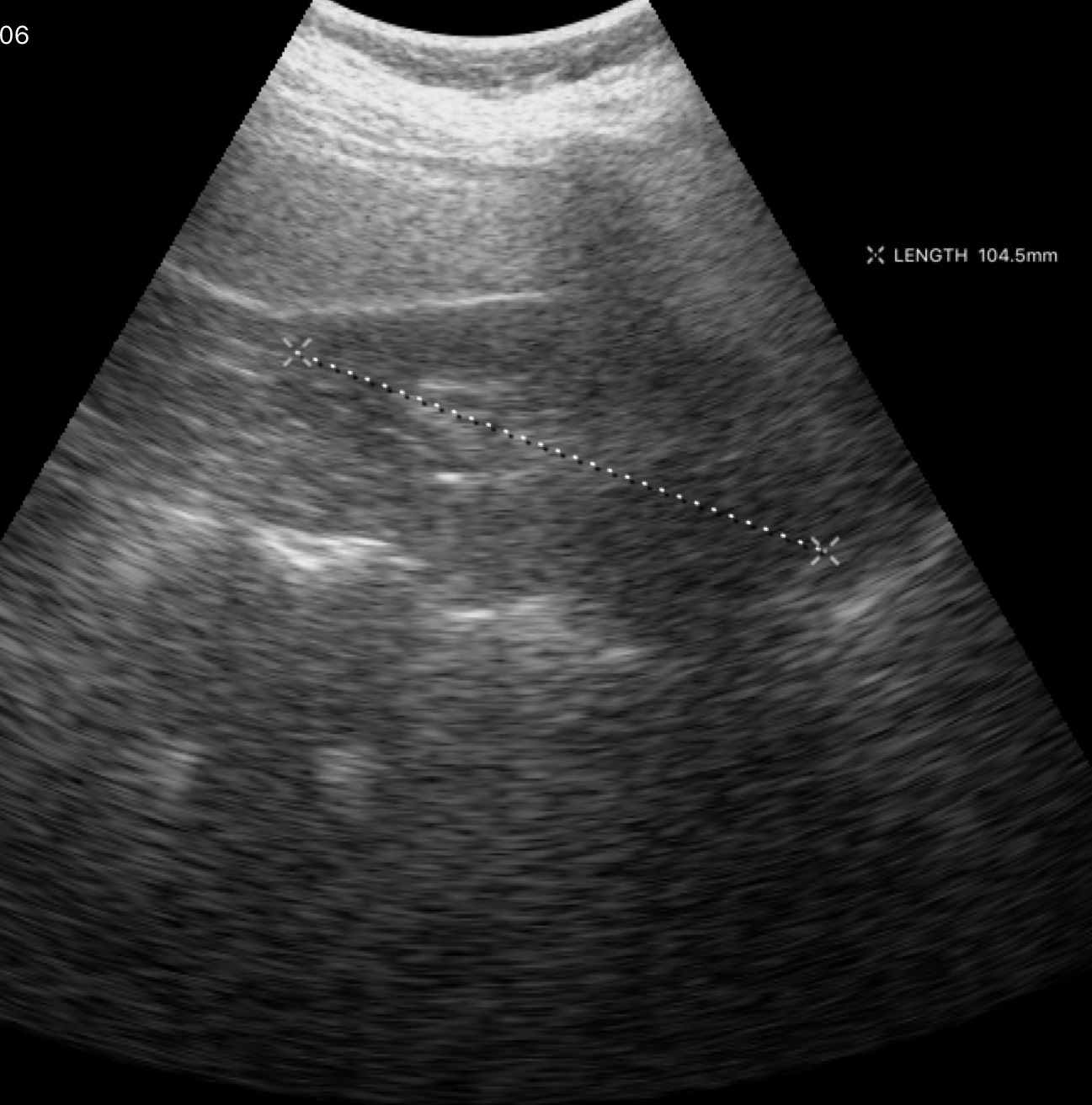
Genitourinary ultrasound.